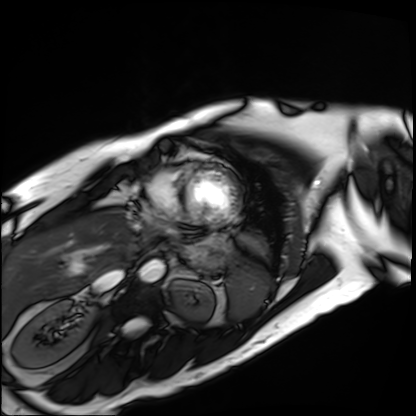
{"modality": "cardiac MRI", "cohort": "patient"}